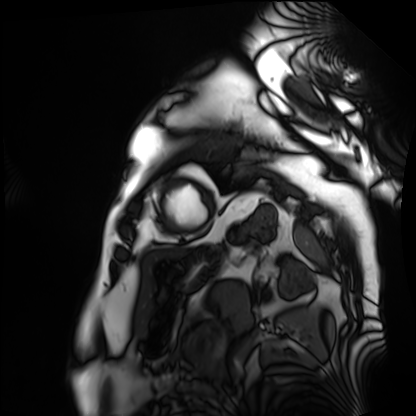
Cardiac MRI.
Subject group: patient.